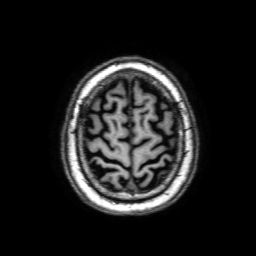
Summary:
3 Tesla brain MRI. Series: 3D T1-weighted with SENSE. Study: ring-enhancing brain masses.